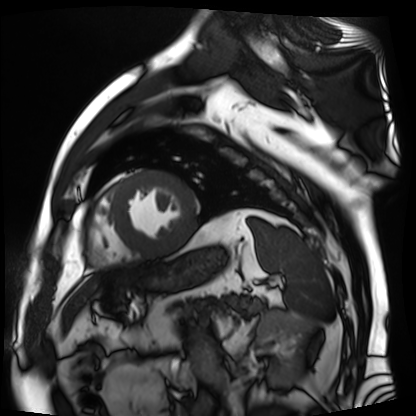
Cardiac MR image of the myocardium. Subject cohort: cardiac patient.